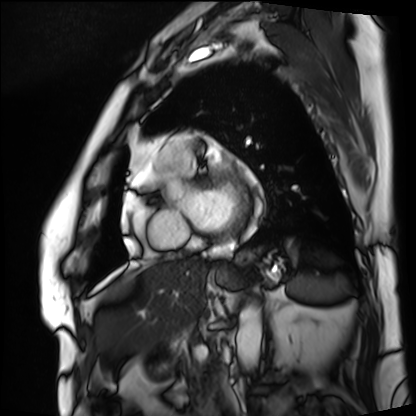
Cardiac MRI.
Subject group: patient.